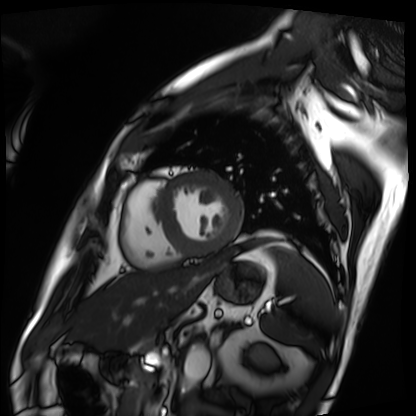
• modality · cardiac MRI
• subject group · patient